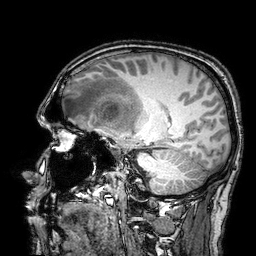
<case>
<modality>
  <type>brain MRI</type>
  <field_strength>3T</field_strength>
</modality>
<series>3D T1-weighted turbo field echo with SENSE</series>
<study_topic>ring-enhancing brain masses</study_topic>
</case>